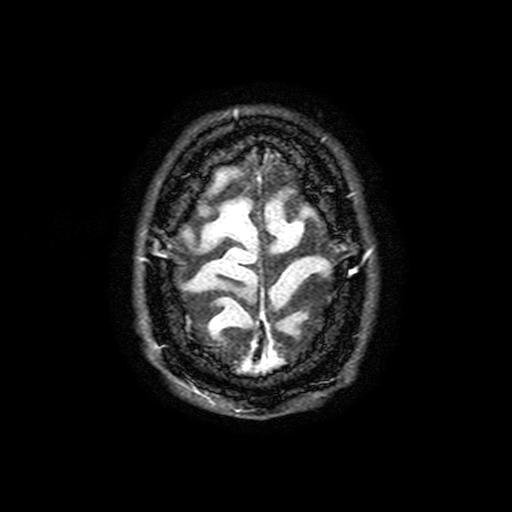
Case summary:
3 Tesla brain MRI. Series: FLAIR with SPAIR, 3 mm. Study: ring-enhancing brain masses.